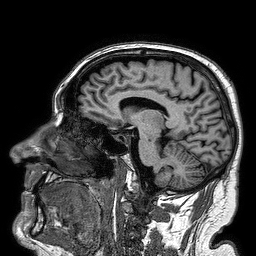
  modality:
    type: brain MRI
    field_strength: 3T
  series: 3D T1-weighted turbo field echo
  study_topic: ring-enhancing brain masses